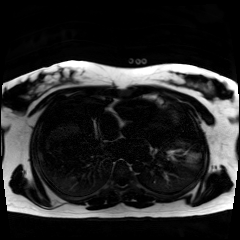
Chemical-shift-encoded cardiac MRI.